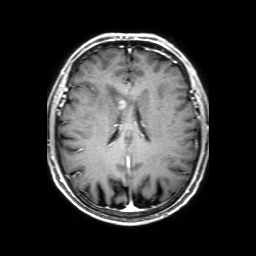
| field | value |
|---|---|
| modality | 3 Tesla brain MRI |
| series | 3D T1-weighted with SENSE |
| study | ring-enhancing brain masses |